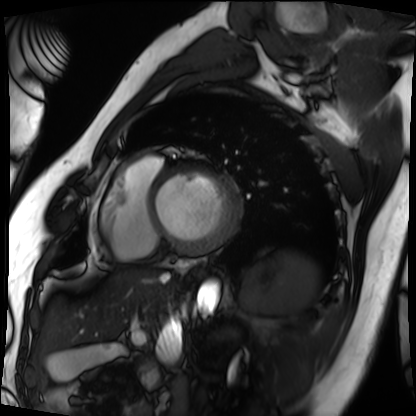
<case>
  <modality>cardiac MRI</modality>
  <cohort>patient</cohort>
</case>